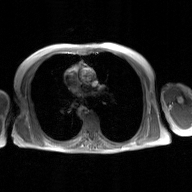
Case:
- modality · 2D phase-contrast cine MRI of the ascending aorta, GAN super-resolution reconstruction